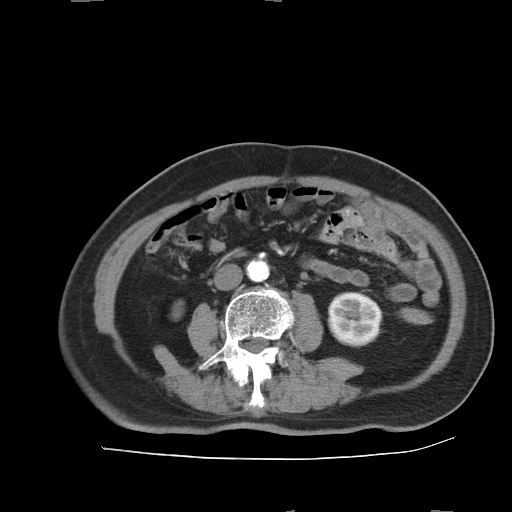
Multiphase abdominal CT, liver, arterial phase.
Patient: male, age 73.
History: prior chemotherapy.